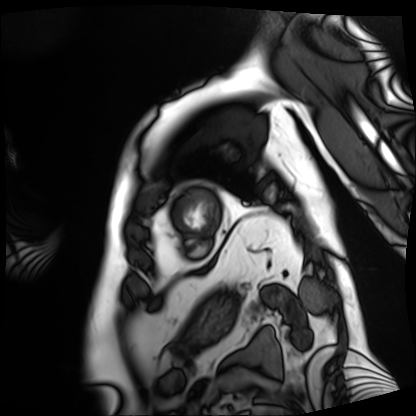
Summary:
Cardiac MRI. Subject group: patient.